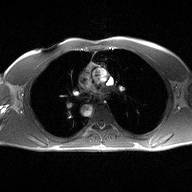
| field | value |
|---|---|
| modality | 2D phase-contrast cine MRI of the ascending aorta |